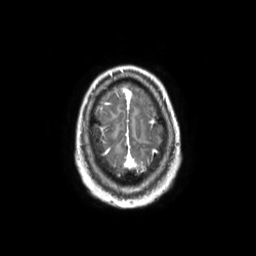
Summary: 3 Tesla brain MRI. Series: 3D T1-weighted TFE with SENSE. Study: ring-enhancing brain masses.